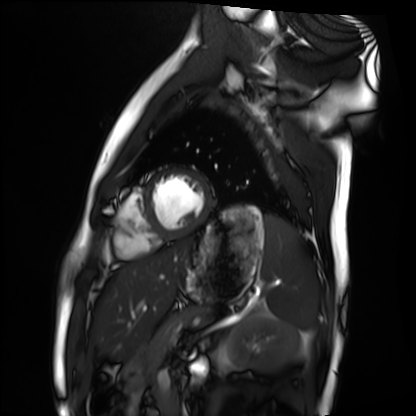
modality — cardiac MRI | subject group — healthy volunteer.